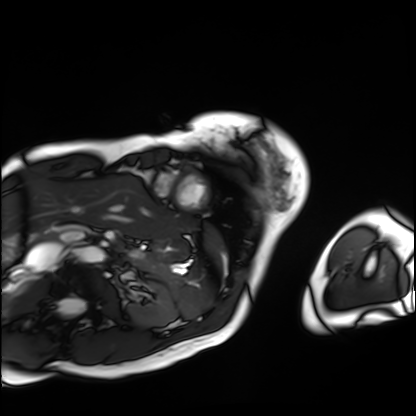
Cardiac MRI. Subject group: patient.